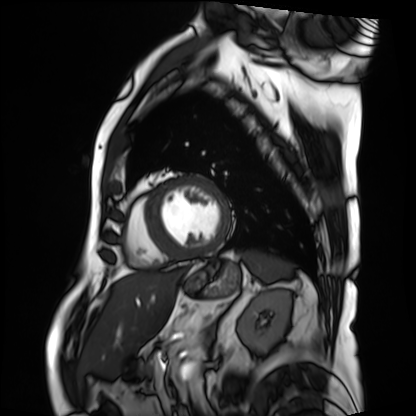
modality = cardiac MRI
subject group = patient